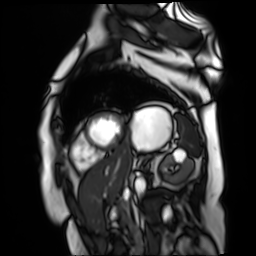
Case:
– modality — cardiac MR image of the myocardium
– subject cohort — cardiac patient